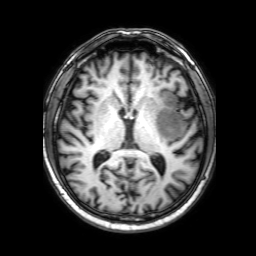
3 Tesla brain MRI. Series: 3D T1-weighted with SENSE. Study: ring-enhancing brain masses.